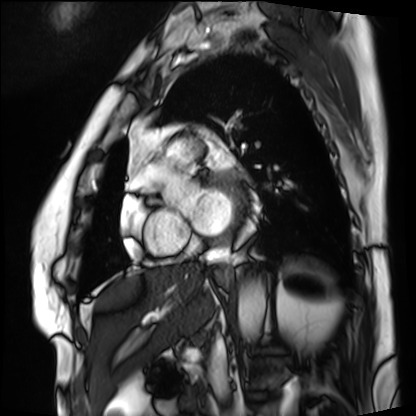
Summary:
Cardiac MRI. Subject group: patient.